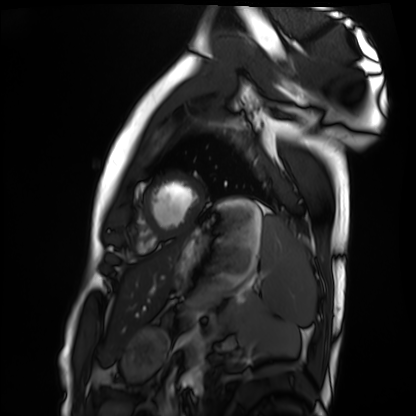
modality = cardiac MRI; subject group = healthy volunteer.